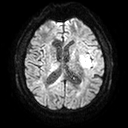
Case:
- modality — 3 Tesla brain MRI
- series — diffusion tensor imaging (medium iso)
- study — ring-enhancing brain masses